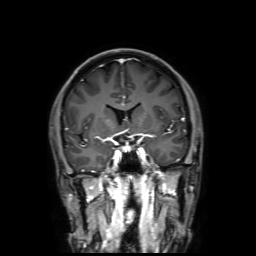
3 Tesla brain MRI. Series: 3D T1-weighted with SENSE. Study: ring-enhancing brain masses.